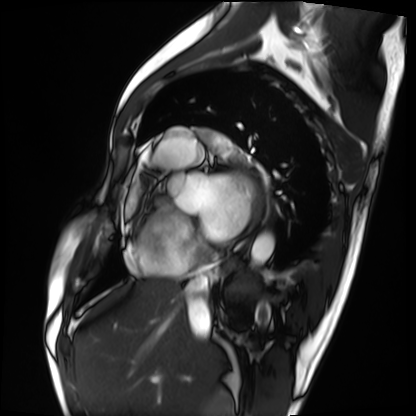
Q: What kind of scan is this?
A: Cardiac MRI.
Subject group: patient.